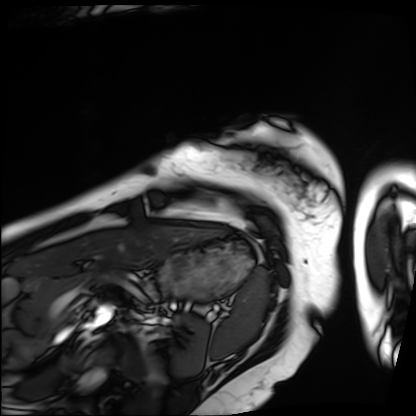
| field | value |
|---|---|
| modality | cardiac MRI |
| subject group | patient |